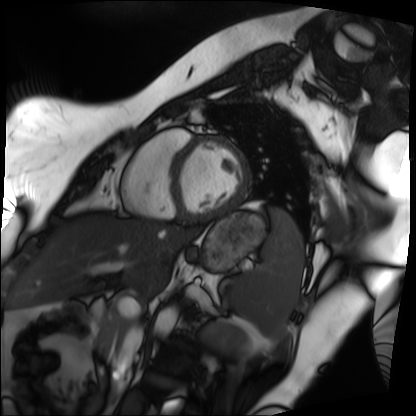
Cardiac MRI. Subject group: patient.